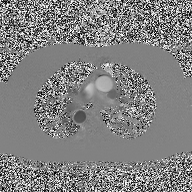
Case summary:
2D phase-contrast cine MRI of the ascending aorta, high-resolution GRAPPA acquisition.